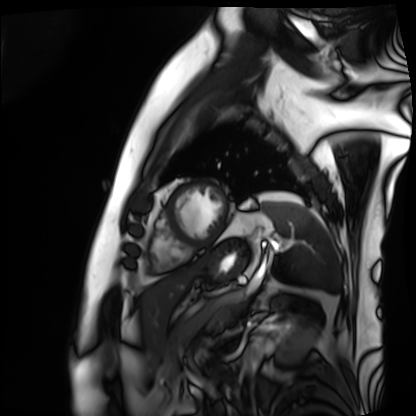
| field | value |
|---|---|
| modality | cardiac MRI |
| subject group | patient |